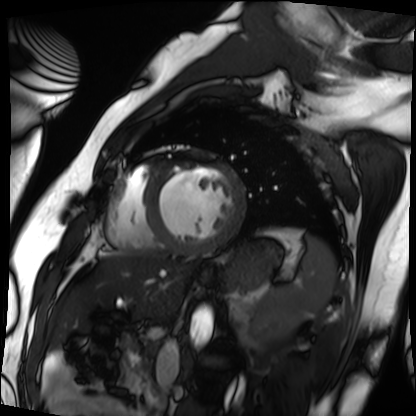
Cardiac MRI. Subject group: patient.